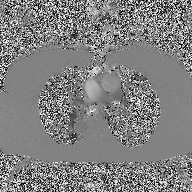
Case summary:
2D phase-contrast cine MRI of the ascending aorta, high-resolution GRAPPA acquisition.